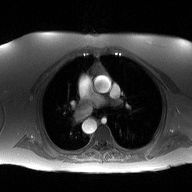
Case:
- modality — 2D phase-contrast cine MRI of the ascending aorta